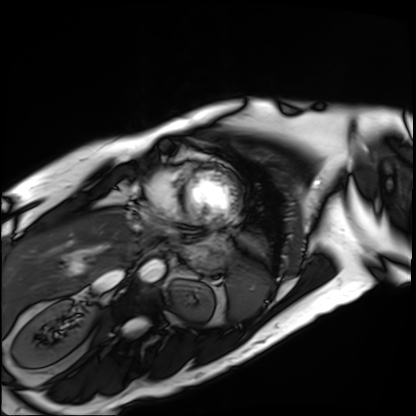
modality: cardiac MRI
subject group: patient